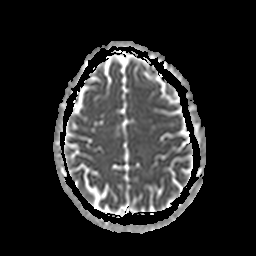
Summary:
3 Tesla brain MRI. Series: apparent diffusion coefficient (ADC) map. Study: ring-enhancing brain masses.